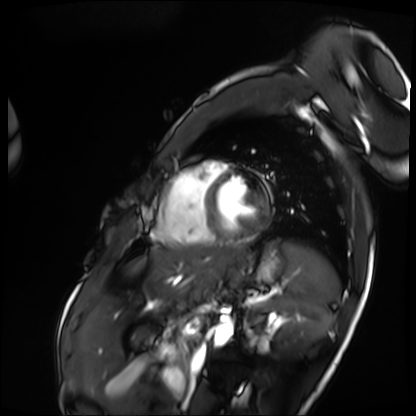
Summary:
Cardiac MRI. Subject group: patient.